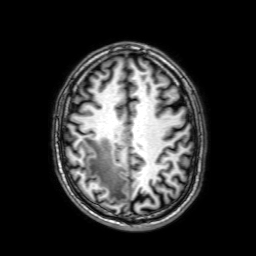
3 Tesla brain MRI. Series: 3D T1-weighted with SENSE. Study: ring-enhancing brain masses.